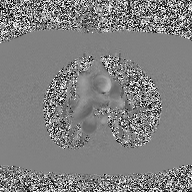
Q: What kind of scan is this?
A: 2D phase-contrast cine MRI of the ascending aorta.